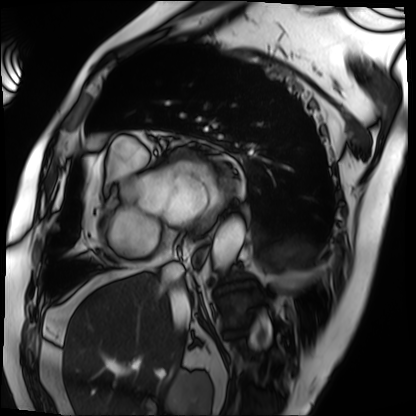
{
  "modality": "cardiac MRI",
  "cohort": "patient"
}